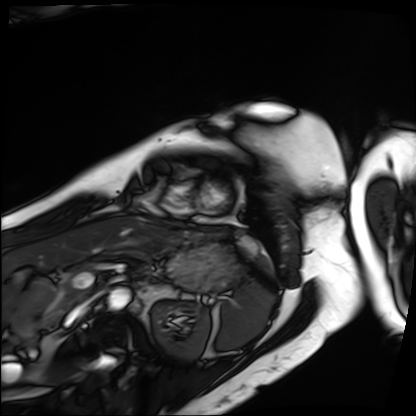
Case:
• modality: cardiac MRI
• subject group: patient